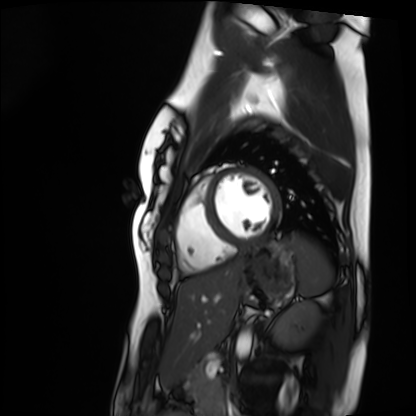
Cardiac MRI. Subject group: healthy volunteer.